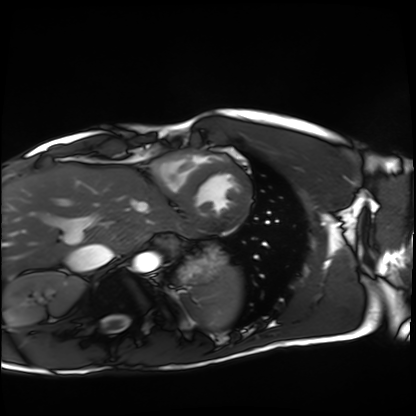
Q: What kind of scan is this?
A: Cardiac MRI.
Subject group: healthy volunteer.